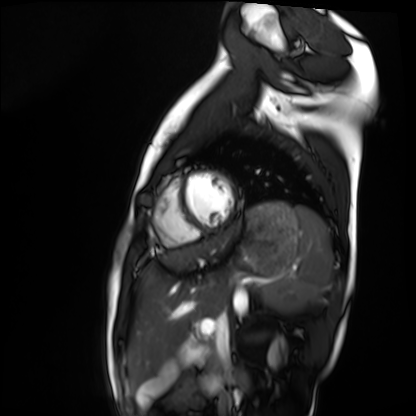
{"modality": "cardiac MRI", "cohort": "healthy volunteer"}